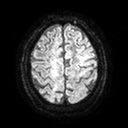
modality = 3 Tesla brain MRI
series = diffusion tensor imaging (medium iso)
study = ring-enhancing brain masses